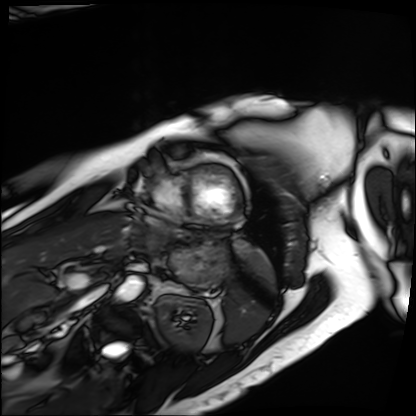
Cardiac MRI.
Subject group: patient.